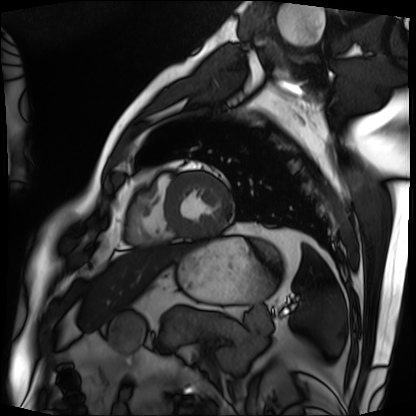
{"modality": "cardiac MRI", "cohort": "patient"}